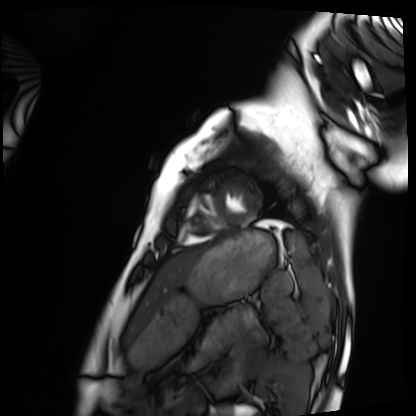
{
  "modality": "cardiac MRI",
  "cohort": "healthy volunteer"
}